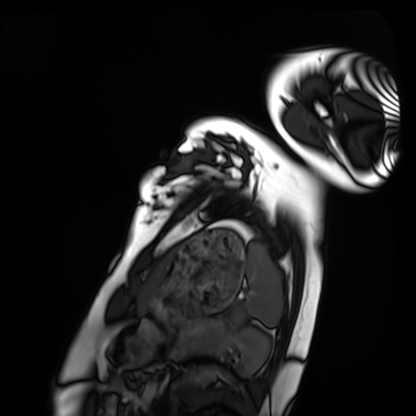
Case summary: Cardiac MRI. Subject group: healthy volunteer.